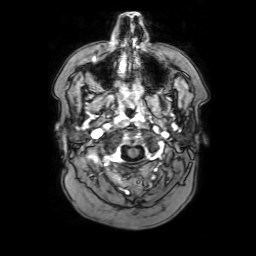
Q: What kind of scan is this?
A: 3 Tesla brain MRI.
Q: Series?
A: 3D T1-weighted with SENSE.
Study: ring-enhancing brain masses.